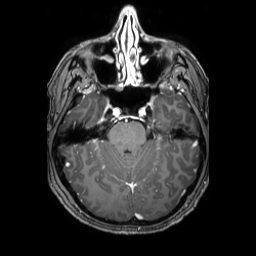
modality: 3 Tesla brain MRI; series: 3D T1-weighted TFE with SENSE; study: ring-enhancing brain masses.